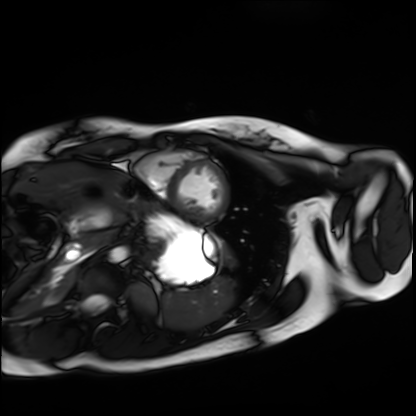
modality = cardiac MRI; subject group = healthy volunteer.